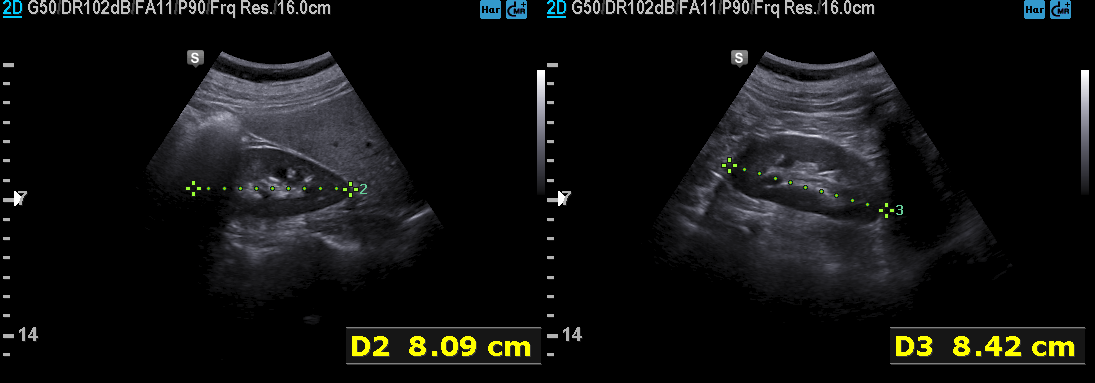
modality — genitourinary ultrasound